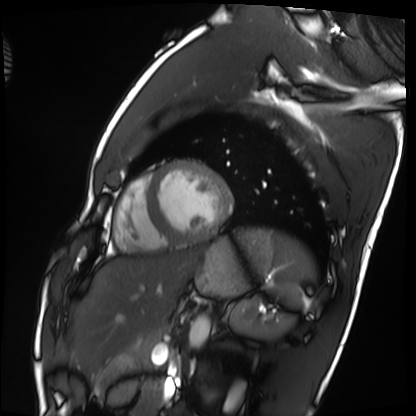
modality — cardiac MRI; subject group — healthy volunteer.